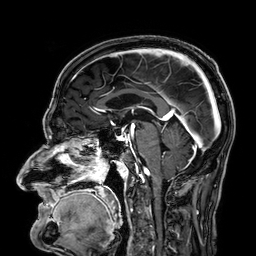
- modality — 3 Tesla brain MRI
- series — 3D T1-weighted
- study — ring-enhancing brain masses